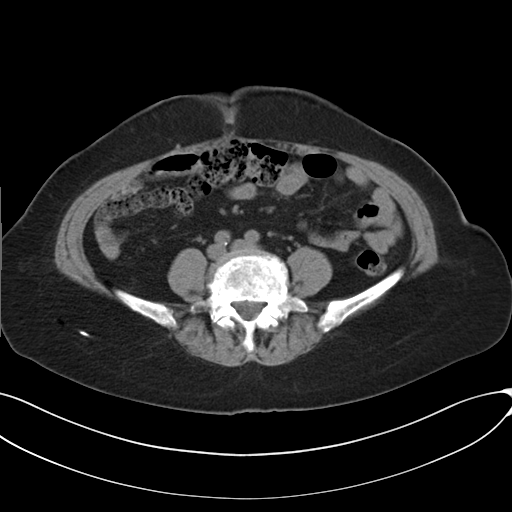
Multiphase abdominal CT, liver, non-contrast phase. Patient: female, age 73. History: prior chemotherapy.